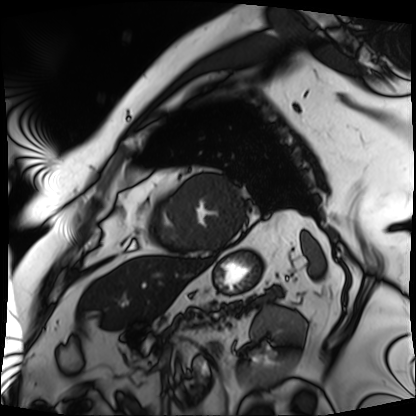
  modality: cardiac MRI
  cohort: patient